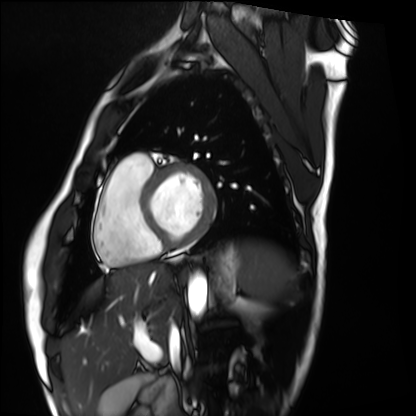
<study>
<modality>cardiac MRI</modality>
<cohort>healthy volunteer</cohort>
</study>